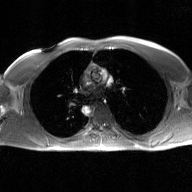
2D phase-contrast cine MRI of the ascending aorta, GAN super-resolution reconstruction.